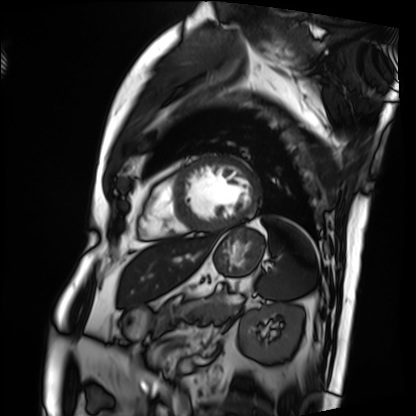
modality = cardiac MRI | subject group = patient.